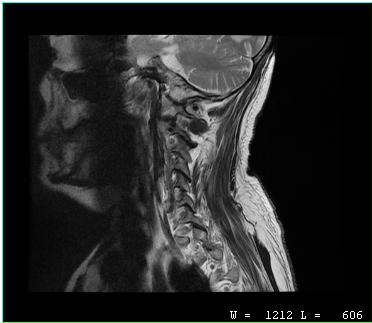
MRI of the cervical spine. Study: cervical spondylosis.